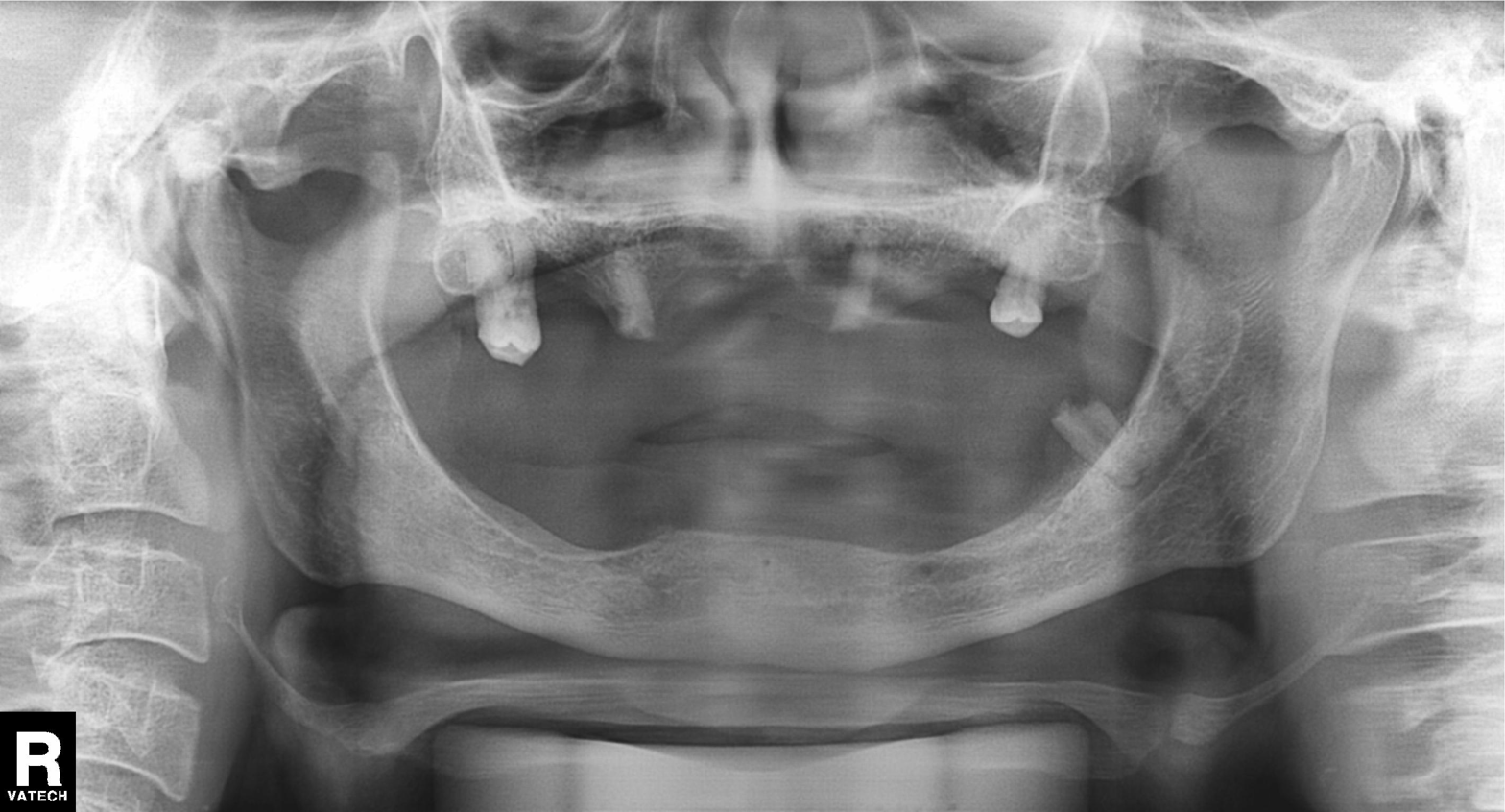
Panoramic dental radiograph (orthopantomogram). Finding: alveolar bone loss.